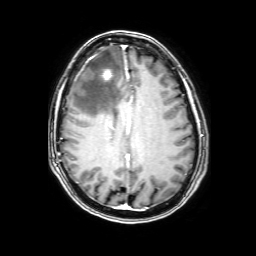
3 Tesla brain MRI. Study: ring-enhancing brain masses.